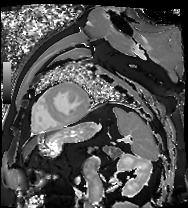
Cardiac MR image of the myocardium. Subject cohort: cardiac patient.